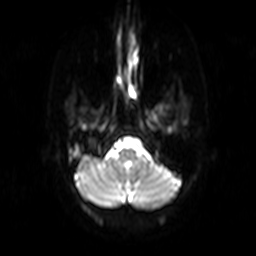
modality: 3 Tesla brain MRI
series: diffusion-weighted imaging
study: ring-enhancing brain masses